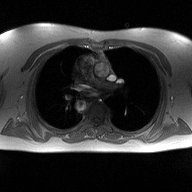
2D phase-contrast cine MRI of the ascending aorta, high-resolution GRAPPA acquisition.